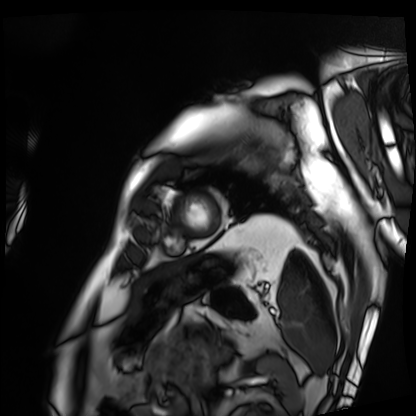
Cardiac MRI. Subject group: patient.